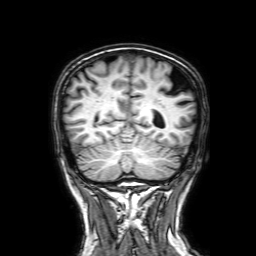
3 Tesla brain MRI. Series: 3D T1-weighted with SENSE. Study: ring-enhancing brain masses.